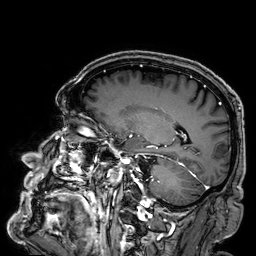
3 Tesla brain MRI.
Series: 3D T1-weighted.
Study: ring-enhancing brain masses.